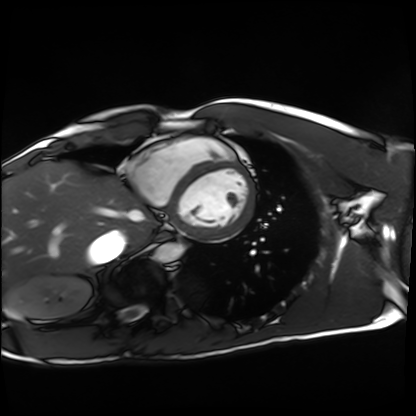
Cardiac MRI. Subject group: healthy volunteer.